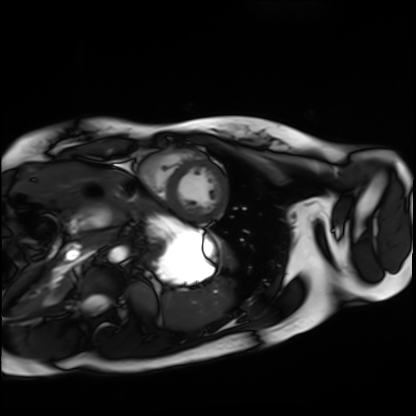
Cardiac MRI.
Subject group: healthy volunteer.